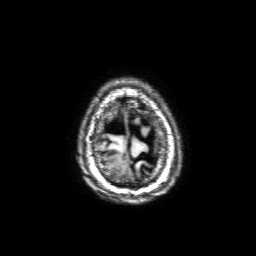
modality: 3 Tesla brain MRI | series: 3D T1-weighted with SENSE | study: ring-enhancing brain masses.